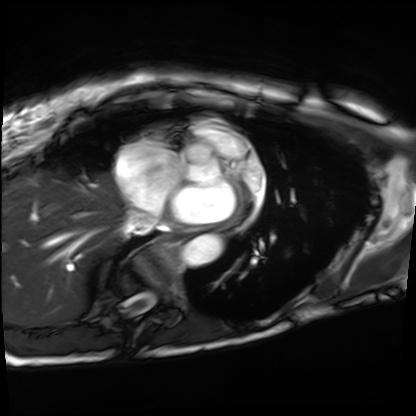
| field | value |
|---|---|
| modality | cardiac MRI |
| subject group | patient |